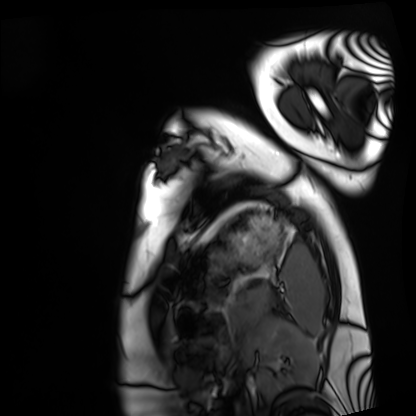
{"modality": "cardiac MRI", "cohort": "healthy volunteer"}